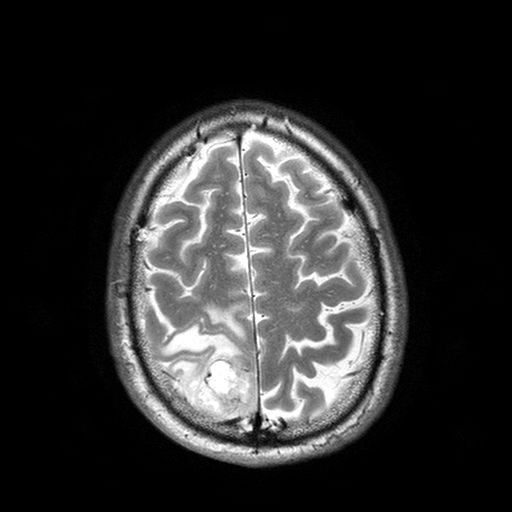
• modality — 3 Tesla brain MRI
• series — T2-weighted turbo spin echo with SENSE
• study — ring-enhancing brain masses